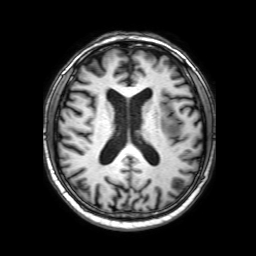
Case summary:
3 Tesla brain MRI. Series: 3D T1-weighted with SENSE. Study: ring-enhancing brain masses.